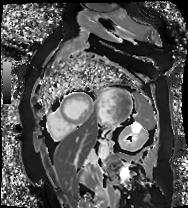
Cardiac MR image of the myocardium. Subject cohort: cardiac patient.